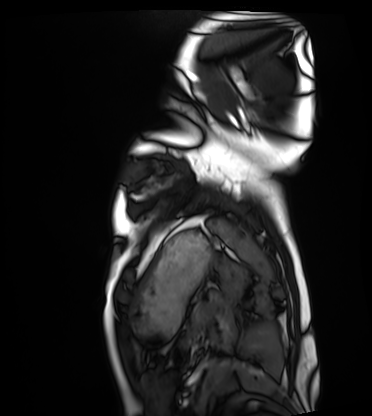
Summary: Cardiac MRI. Subject group: healthy volunteer.